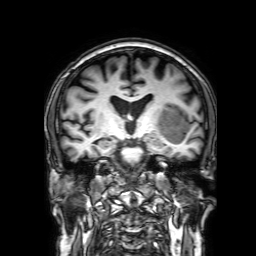
3 Tesla brain MRI. Series: 3D T1-weighted with SENSE. Study: ring-enhancing brain masses.